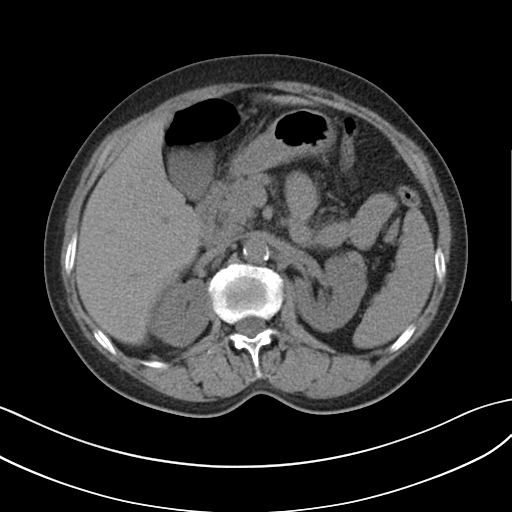
Q: What kind of scan is this?
A: Multiphase abdominal CT, liver, non-contrast phase.
Q: Patient?
A: Female, age 61.
Q: History?
A: Cirrhosis, viral hepatitis, prior chemotherapy.